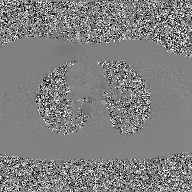
Case:
* modality: 2D phase-contrast cine MRI of the ascending aorta, GAN super-resolution reconstruction